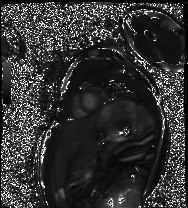
Summary: Cardiac MRI. Subject group: healthy volunteer.